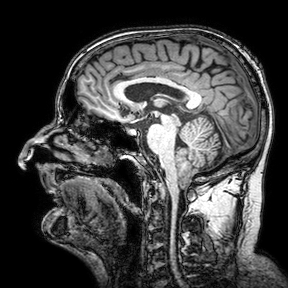
<record>
  <modality>
    <type>brain MRI</type>
    <field_strength>3T</field_strength>
  </modality>
  <series>3D T1-weighted turbo field echo with SENSE</series>
  <study_topic>ring-enhancing brain masses</study_topic>
</record>